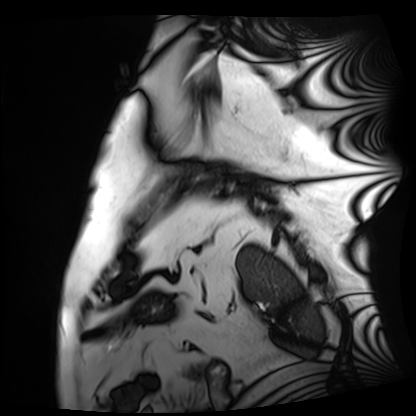
Cardiac MRI. Subject group: patient.